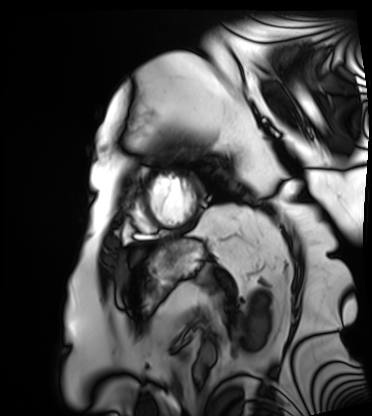
Q: What kind of scan is this?
A: Cardiac MRI.
Subject group: patient.